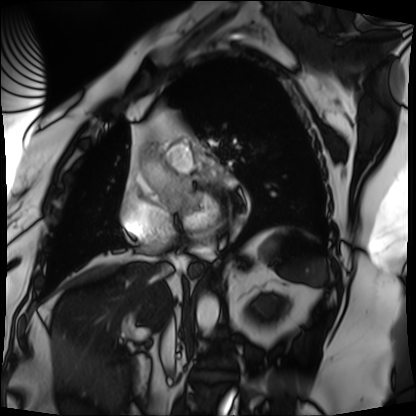
Cardiac MRI. Subject group: patient.